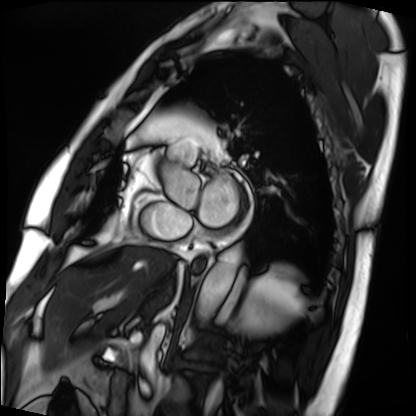
Summary:
Cardiac MRI. Subject group: patient.